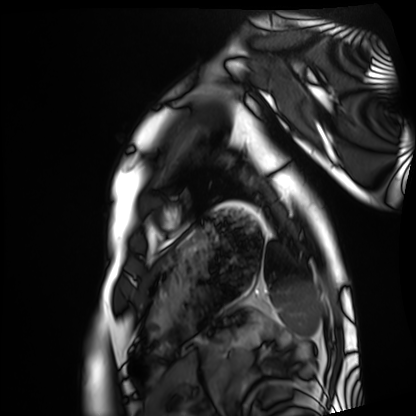
* modality — cardiac MRI
* subject group — healthy volunteer